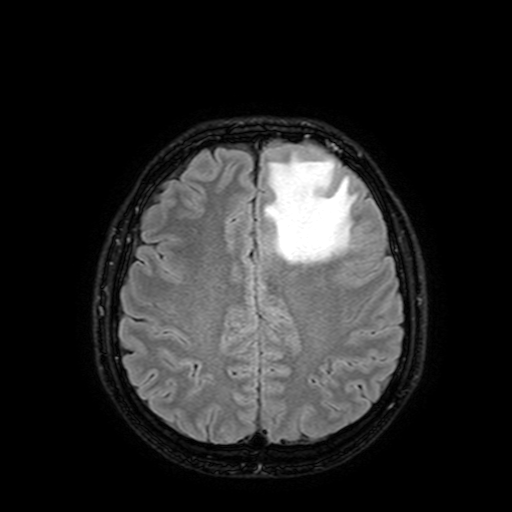
  modality:
    type: brain MRI
    field_strength: 3T
  series: FLAIR with SPAIR, 3 mm
  study_topic: ring-enhancing brain masses